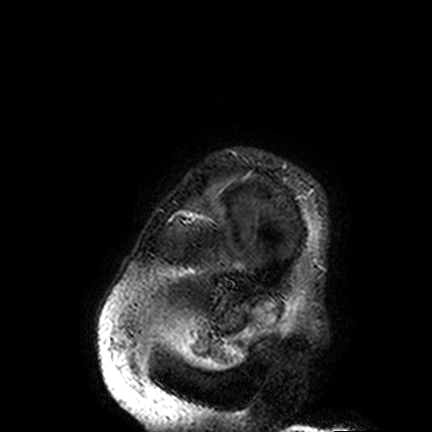
<study>
<modality>
  <type>brain MRI</type>
  <field_strength>3T</field_strength>
</modality>
<study_topic>ring-enhancing brain masses</study_topic>
</study>